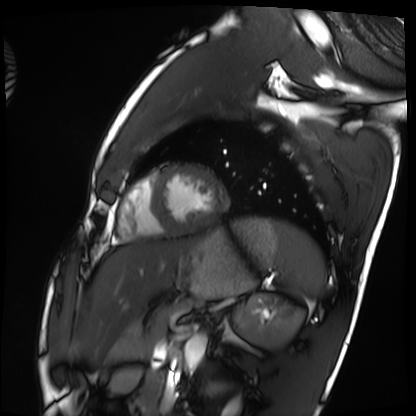
Cardiac MRI. Subject group: healthy volunteer.